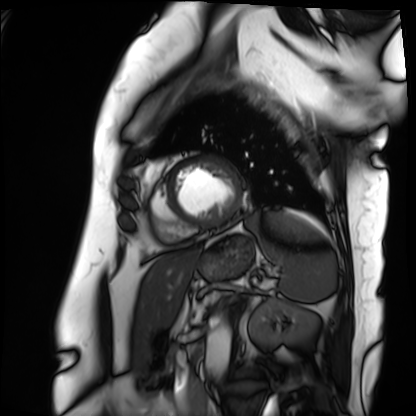
modality=cardiac MRI
subject group=patient